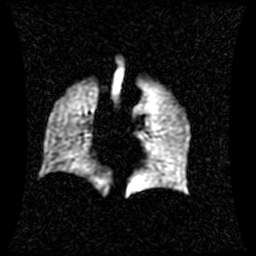
Summary: Hyperpolarized 129Xe ventilation MRI of the lungs. SNR level 1 of 8 (the deposit holds this scan as its native image and as seven SNR-degraded versions).